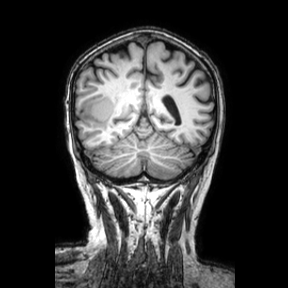
3 Tesla brain MRI. Series: coronal. Study: ring-enhancing brain masses.